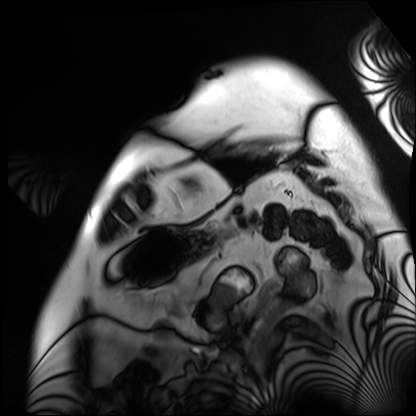
modality = cardiac MRI; subject group = patient.